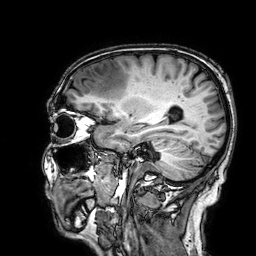
Clinical context:
3 Tesla brain MRI. Series: 3D T1-weighted. Study: ring-enhancing brain masses.